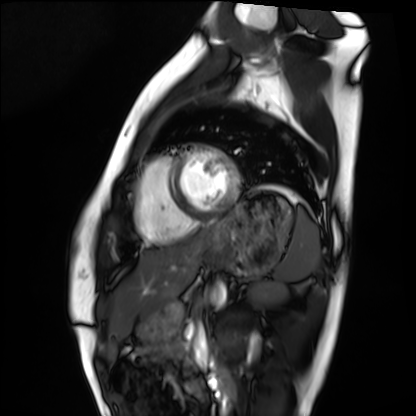
Cardiac MRI. Subject group: healthy volunteer.